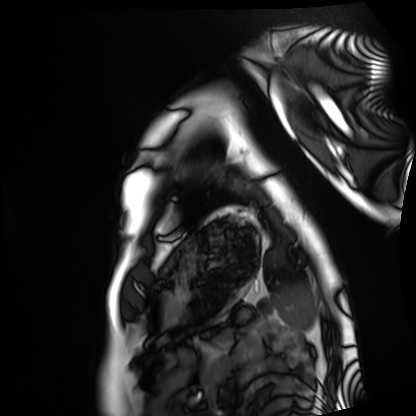
Q: What kind of scan is this?
A: Cardiac MRI.
Subject group: healthy volunteer.